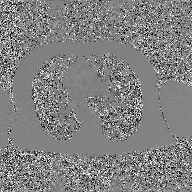
2D phase-contrast cine MRI of the ascending aorta, GAN super-resolution reconstruction.